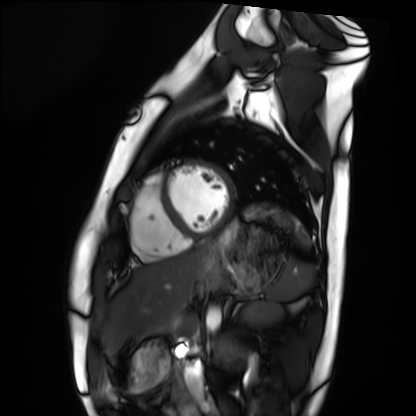
modality = cardiac MRI | subject group = healthy volunteer.